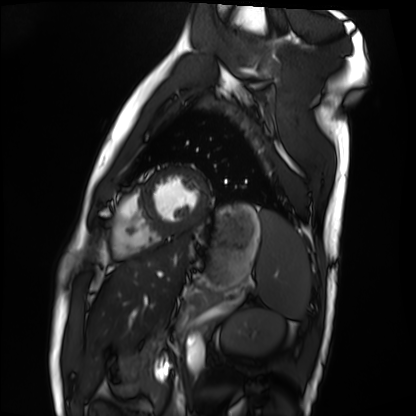
Summary:
Cardiac MRI. Subject group: healthy volunteer.